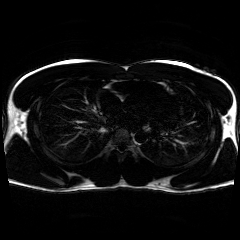
modality=chemical-shift-encoded cardiac MRI